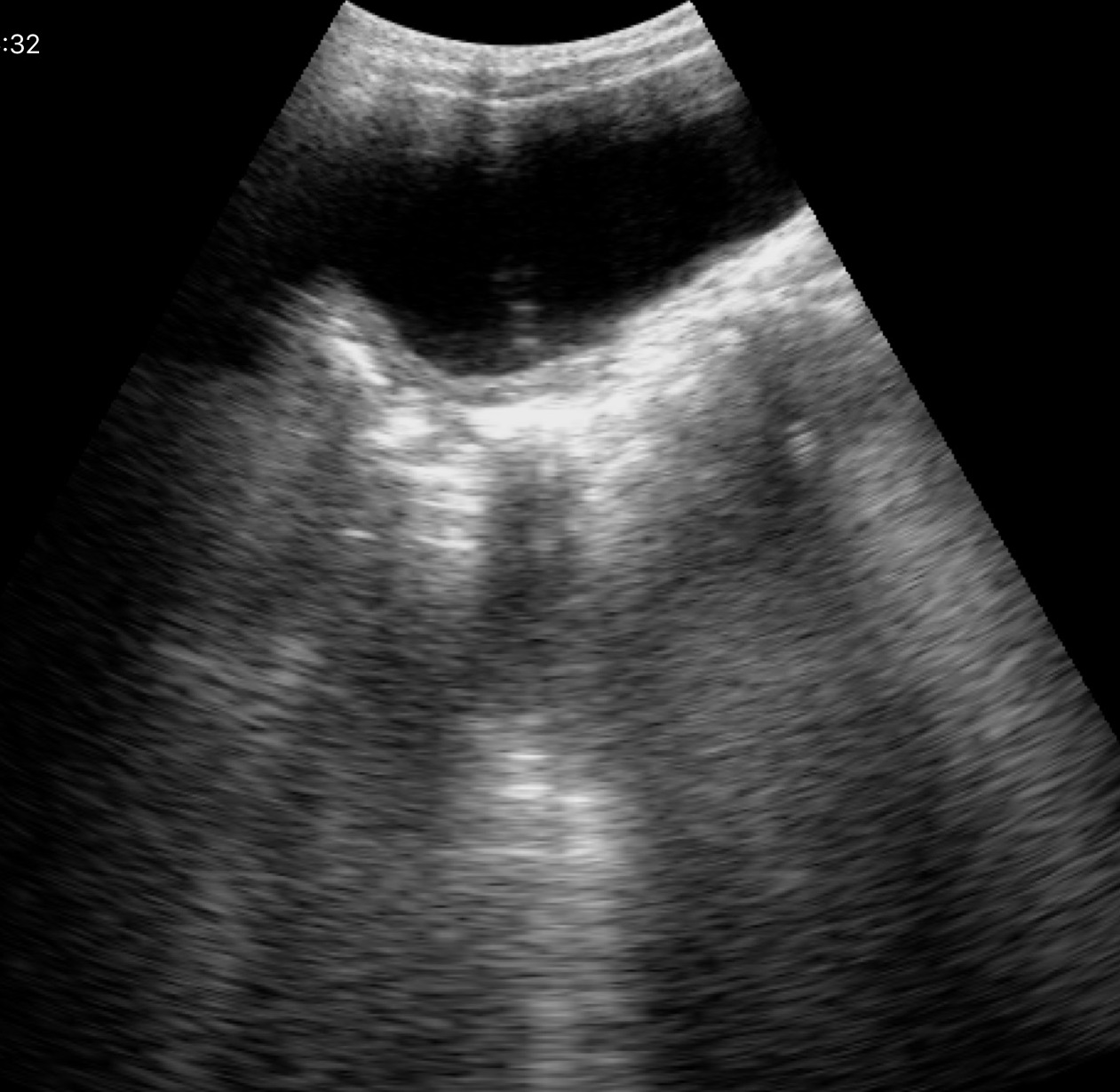
Genitourinary ultrasound.